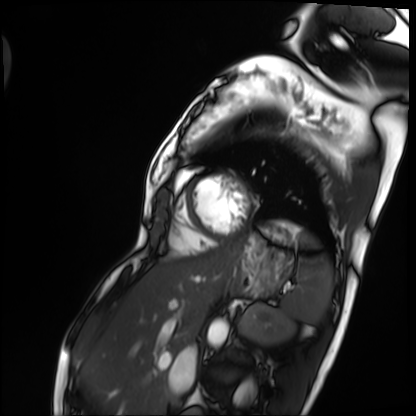
Cardiac MRI. Subject group: patient.